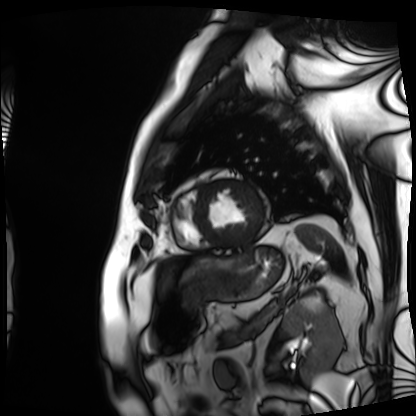
Summary:
Cardiac MRI. Subject group: patient.